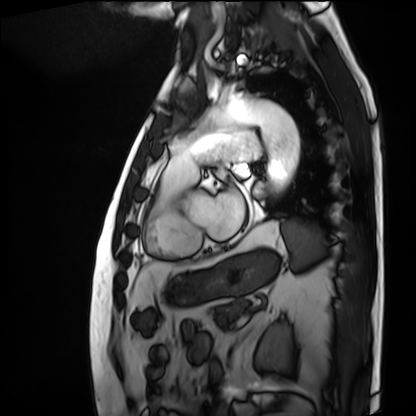
{"modality": "cardiac MRI", "cohort": "patient"}